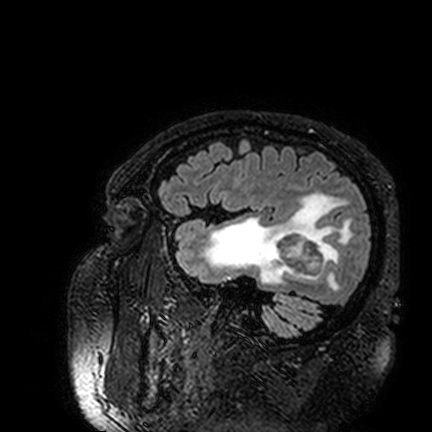
modality = 3 Tesla brain MRI
series = FLAIR VISTA
study = ring-enhancing brain masses